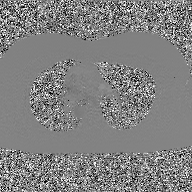
Clinical context:
2D phase-contrast cine MRI of the ascending aorta, GAN super-resolution reconstruction.